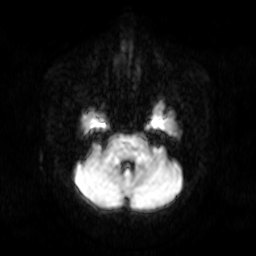
Q: What kind of scan is this?
A: 3 Tesla brain MRI.
Q: Series?
A: Diffusion-weighted imaging.
Study: ring-enhancing brain masses.